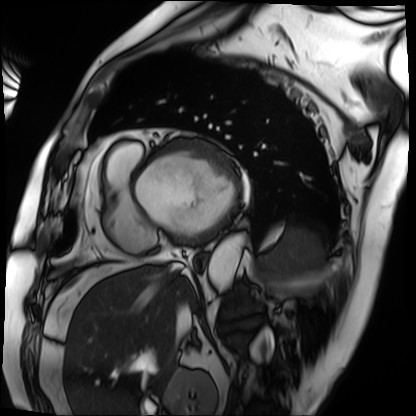
modality = cardiac MRI, subject group = patient.